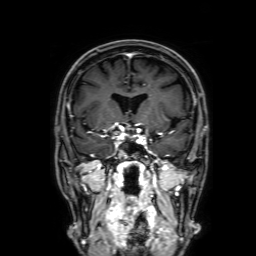
3 Tesla brain MRI. Series: 3D T1-weighted with SENSE. Study: ring-enhancing brain masses.